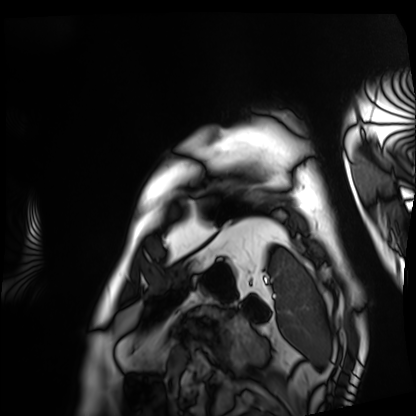
| field | value |
|---|---|
| modality | cardiac MRI |
| subject group | patient |